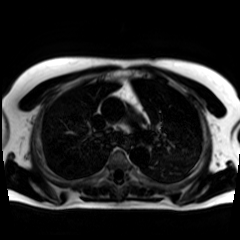
{
  "modality": "chemical-shift-encoded cardiac MRI"
}